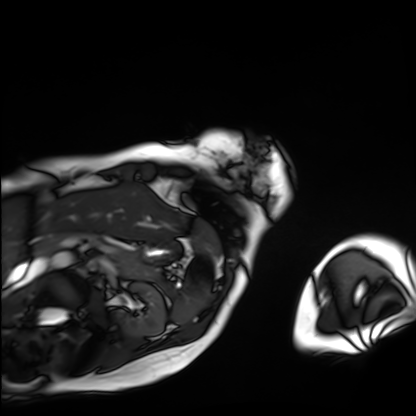
modality: cardiac MRI | subject group: patient.